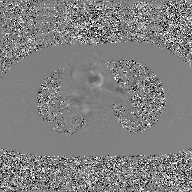
Q: What kind of scan is this?
A: 2D phase-contrast cine MRI of the ascending aorta, GAN super-resolution reconstruction.